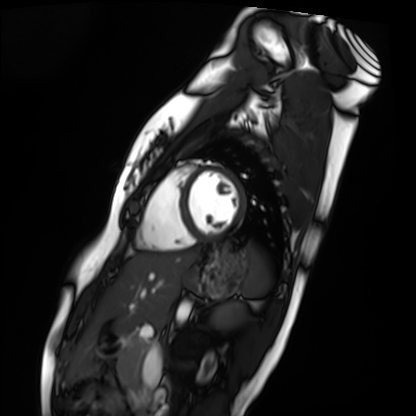
modality: cardiac MRI
cohort: healthy volunteer